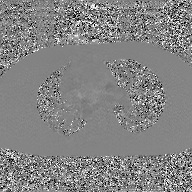
modality: 2D phase-contrast cine MRI of the ascending aorta, GAN super-resolution reconstruction.